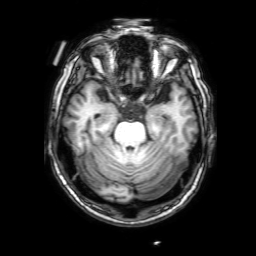
Q: What kind of scan is this?
A: 3 Tesla brain MRI.
Q: Series?
A: 3D T1-weighted with SENSE.
Study: ring-enhancing brain masses.